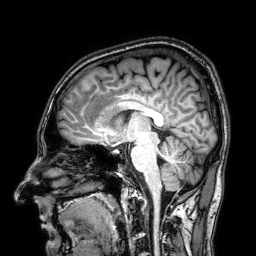
Q: What kind of scan is this?
A: 3 Tesla brain MRI.
Q: Series?
A: 3D T1-weighted.
Study: ring-enhancing brain masses.